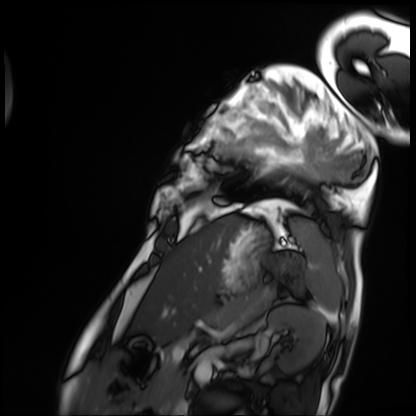
modality: cardiac MRI
cohort: patient